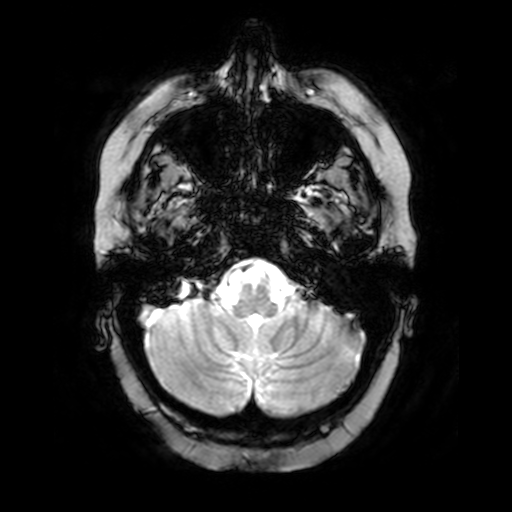
Q: What kind of scan is this?
A: 3 Tesla brain MRI.
Q: Series?
A: T2-weighted fast field echo.
Study: ring-enhancing brain masses.